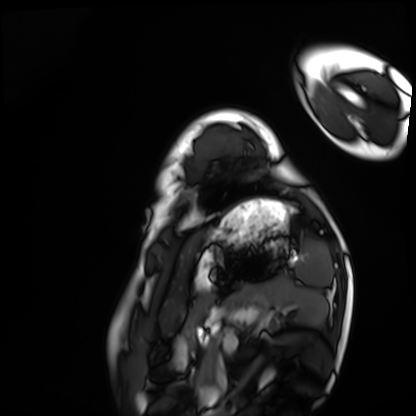
Summary: Cardiac MRI. Subject group: healthy volunteer.